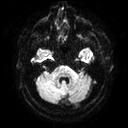
<record>
<modality>
  <type>brain MRI</type>
  <field_strength>3T</field_strength>
</modality>
<series>diffusion tensor imaging (medium iso)</series>
<study_topic>ring-enhancing brain masses</study_topic>
</record>